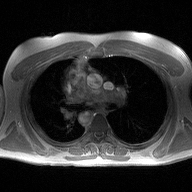
<study>
<modality>
  <type>2D phase-contrast cine MRI</type>
  <region>ascending aorta</region>
  <reconstruction>high-resolution GRAPPA acquisition</reconstruction>
</modality>
</study>